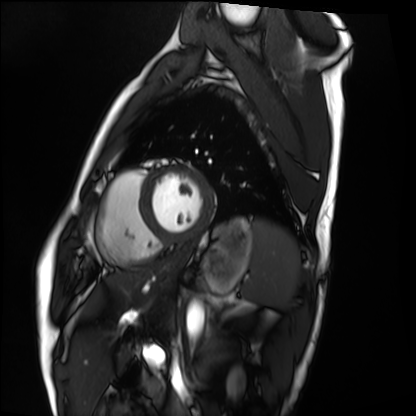
– modality — cardiac MRI
– subject group — healthy volunteer